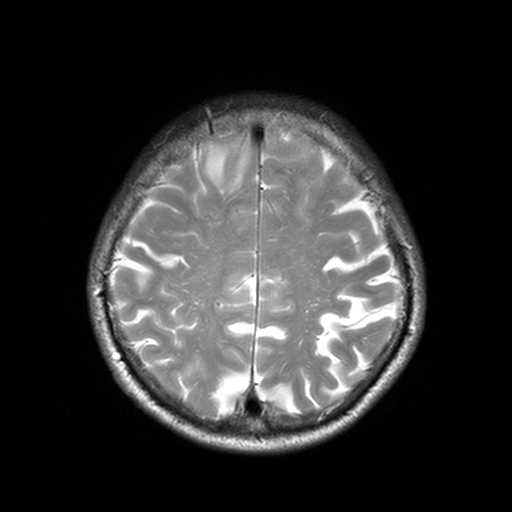
Clinical context:
3 Tesla brain MRI. Series: T2-weighted turbo spin echo, 3 mm. Study: ring-enhancing brain masses.